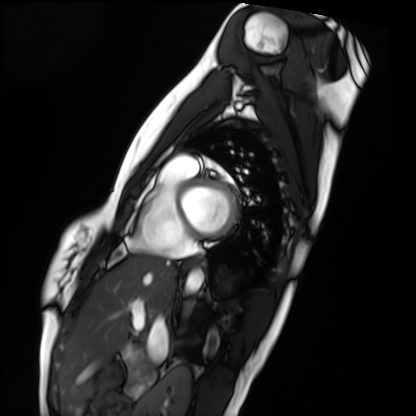
modality — cardiac MRI
subject group — healthy volunteer